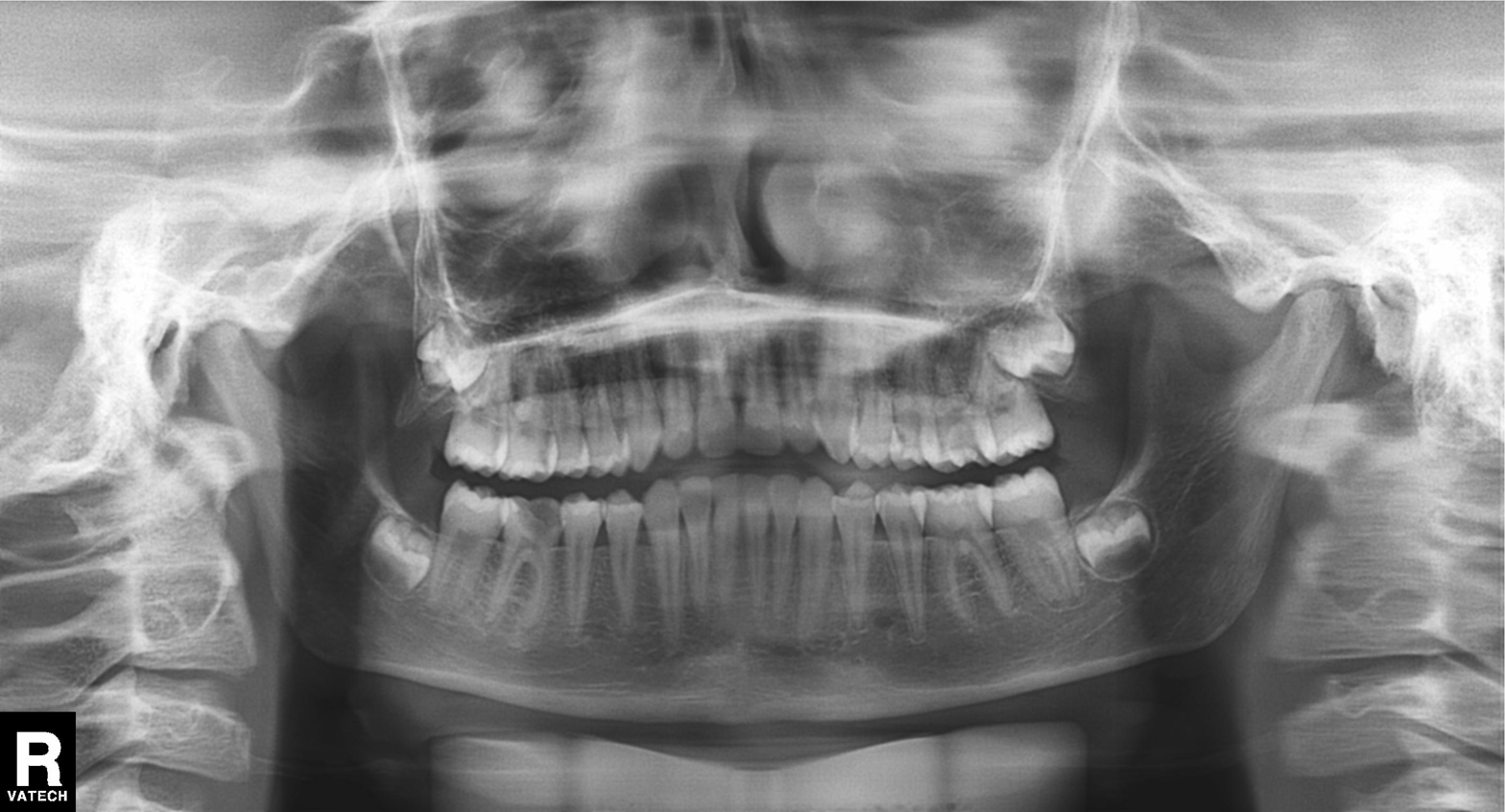
<record>
<modality>panoramic dental radiograph (orthopantomogram)</modality>
<finding>tooth impaction</finding>
</record>